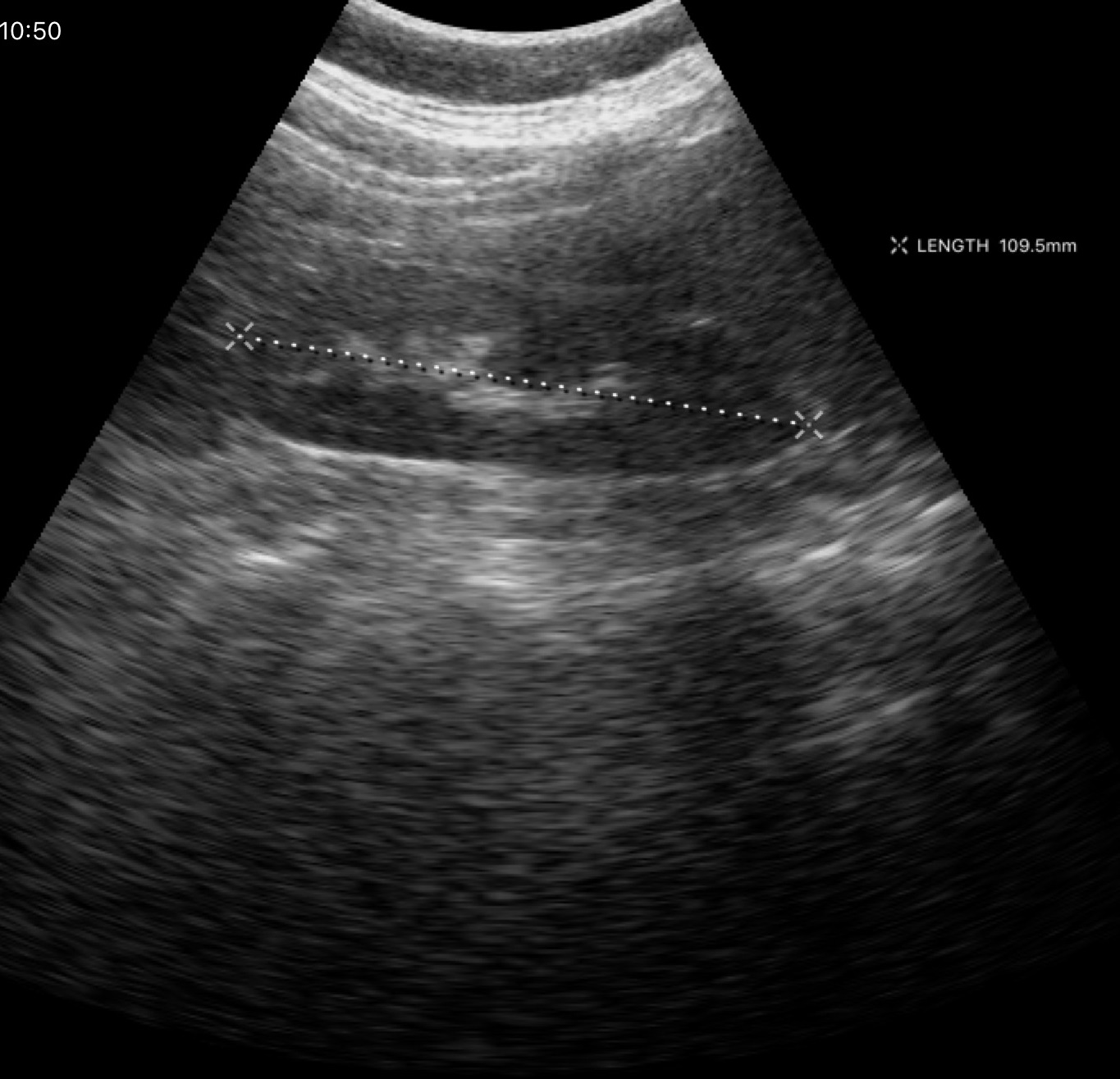
– modality — genitourinary ultrasound